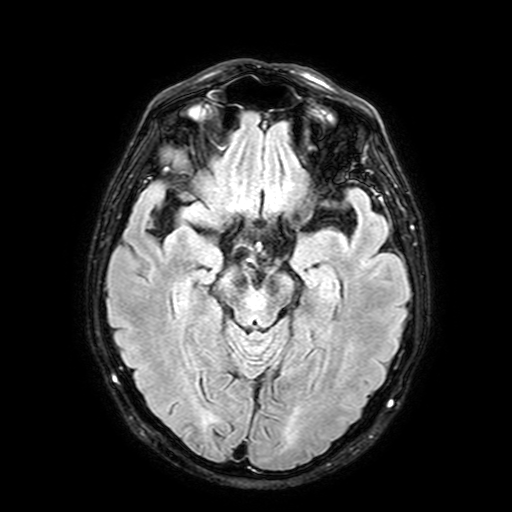
modality:
  type: brain MRI
  field_strength: 3T
series: FLAIR with SPAIR, 3 mm
study_topic: ring-enhancing brain masses